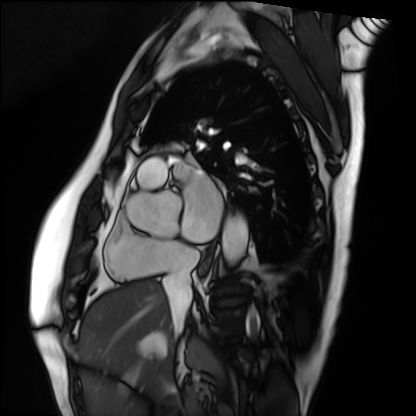
Summary:
Cardiac MRI. Subject group: patient.